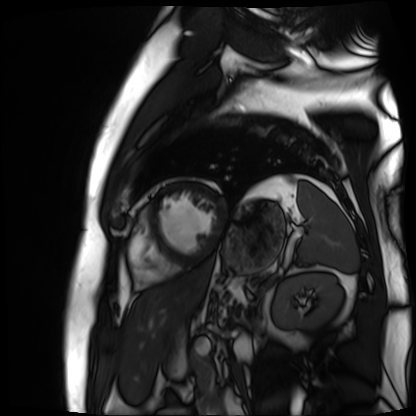
modality: cardiac MR image of the myocardium; subject cohort: cardiac patient.